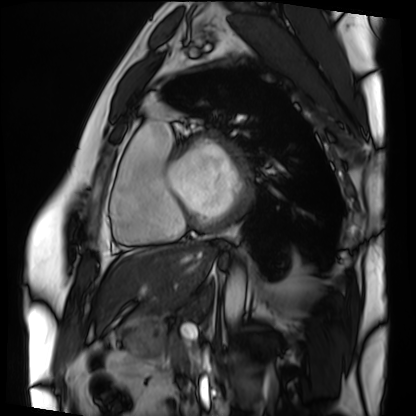
{
  "modality": "cardiac MRI",
  "cohort": "patient"
}